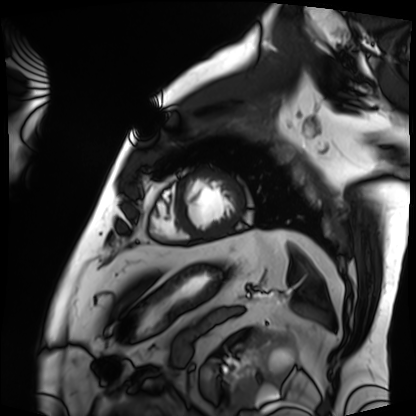
{"modality": "cardiac MRI", "cohort": "patient"}